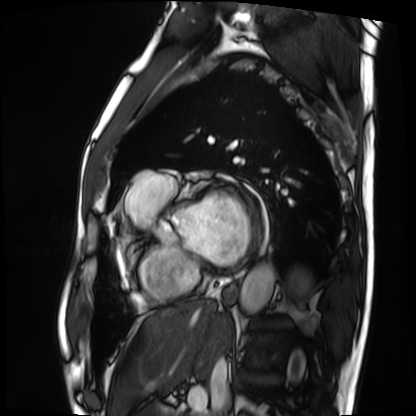
  modality: cardiac MRI
  cohort: patient